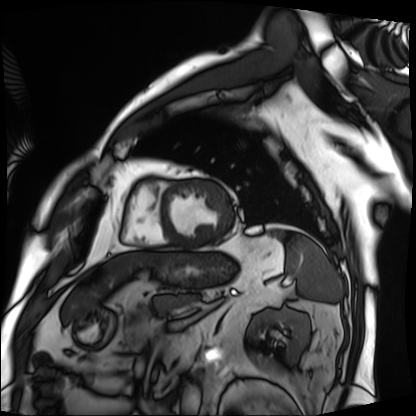
modality: cardiac MRI, subject group: patient.